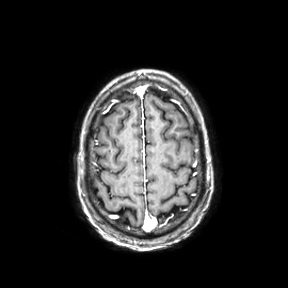
modality=3 Tesla brain MRI | series=axial | study=ring-enhancing brain masses.